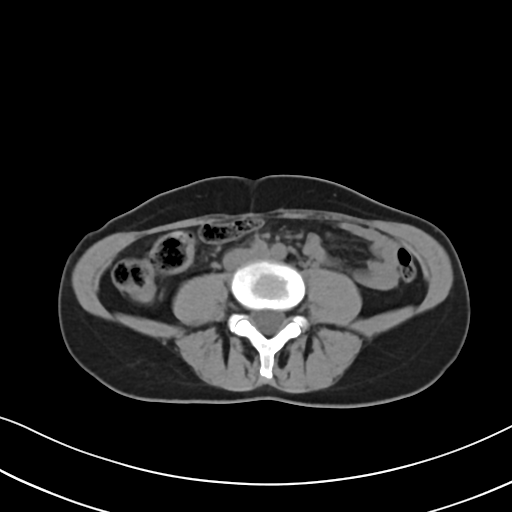
Multiphase abdominal CT, liver, non-contrast phase. Patient: female, age 48. History: prior chemotherapy.